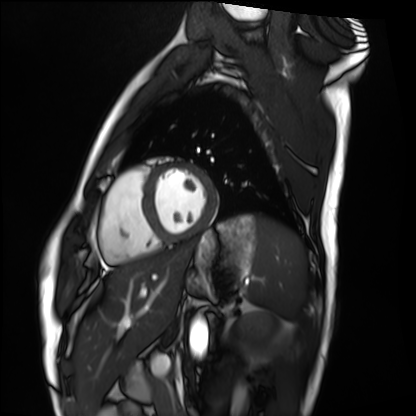
Clinical context: Cardiac MRI. Subject group: healthy volunteer.